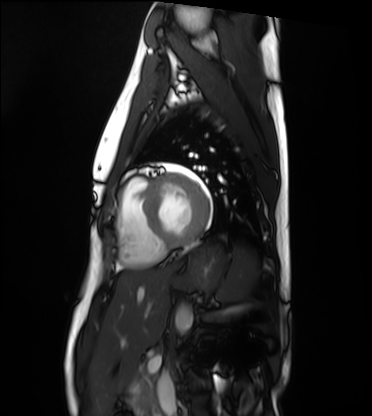
{
  "modality": "cardiac MRI",
  "cohort": "healthy volunteer"
}